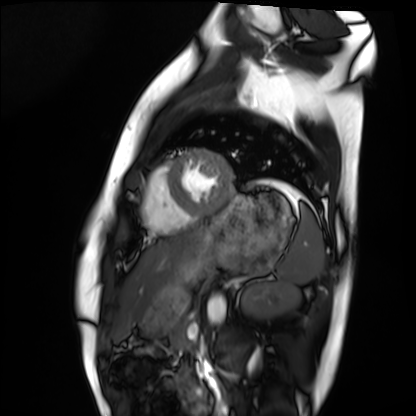
<study>
<modality>cardiac MRI</modality>
<cohort>healthy volunteer</cohort>
</study>